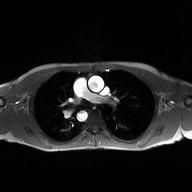
2D phase-contrast cine MRI of the ascending aorta, high-resolution GRAPPA acquisition.